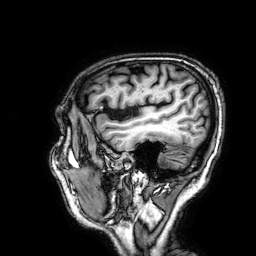
modality: 3 Tesla brain MRI; series: 3D T1-weighted; study: ring-enhancing brain masses.